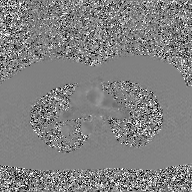
2D phase-contrast cine MRI of the ascending aorta, GAN super-resolution reconstruction.